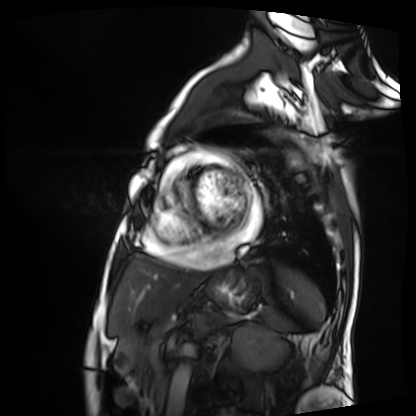
Summary: Cardiac MRI. Subject group: patient.